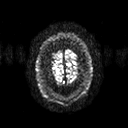
3 Tesla brain MRI. Series: diffusion tensor imaging (medium iso). Study: ring-enhancing brain masses.